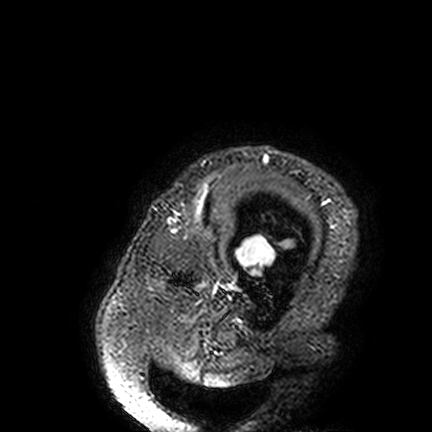
3 Tesla brain MRI. Series: FLAIR VISTA. Study: ring-enhancing brain masses.